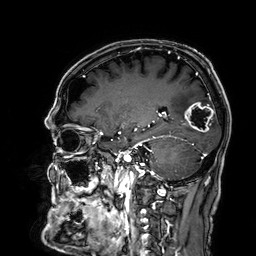
| field | value |
|---|---|
| modality | 3 Tesla brain MRI |
| series | 3D T1-weighted |
| study | ring-enhancing brain masses |